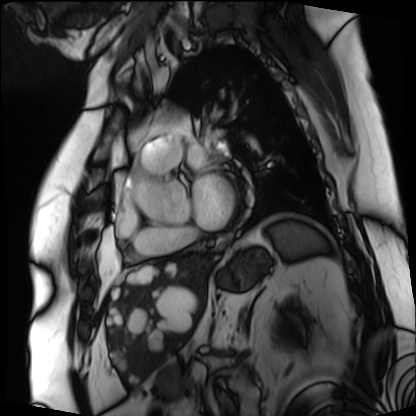
{
  "modality": "cardiac MRI",
  "cohort": "patient"
}